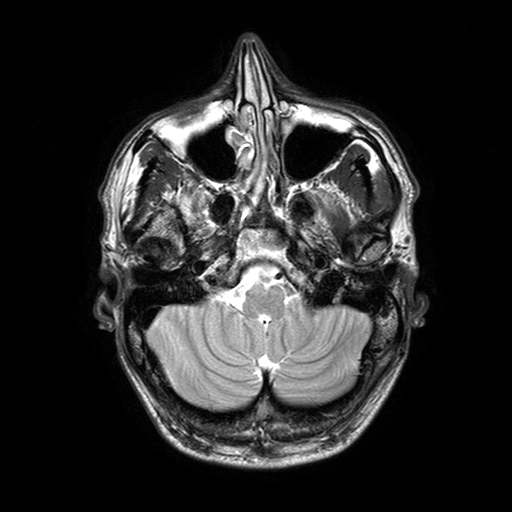
modality: 3 Tesla brain MRI; series: T2-weighted turbo spin echo with SENSE; study: ring-enhancing brain masses.